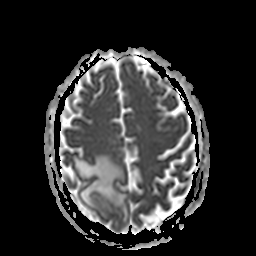
{
  "modality": {
    "type": "brain MRI",
    "field_strength": "3T"
  },
  "series": "apparent diffusion coefficient (ADC) map",
  "study_topic": "ring-enhancing brain masses"
}